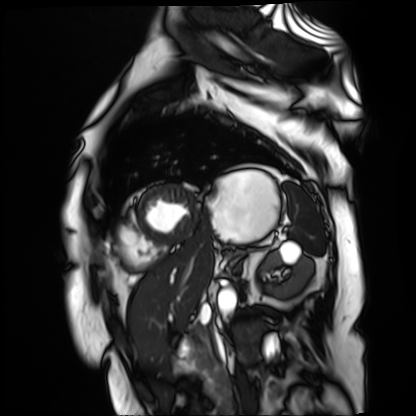
Clinical context:
Cardiac MR image of the myocardium. Subject cohort: cardiac patient.